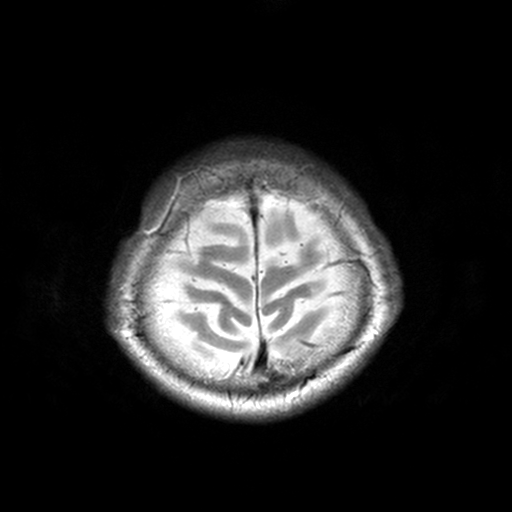
3 Tesla brain MRI. Series: T2-weighted turbo spin echo, 3 mm. Study: ring-enhancing brain masses.